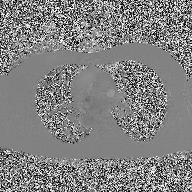
2D phase-contrast cine MRI of the ascending aorta, high-resolution GRAPPA acquisition.